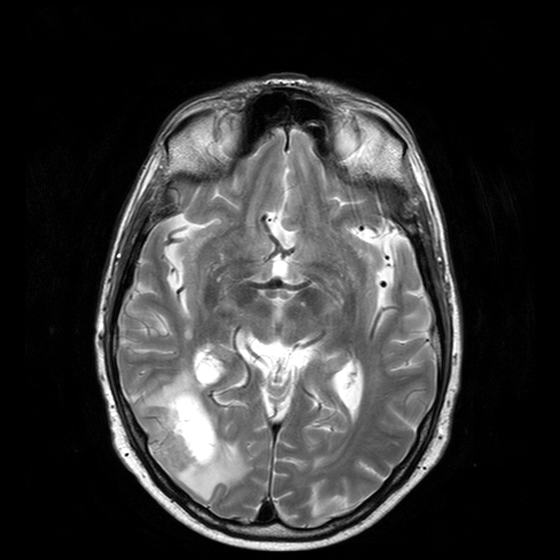
modality — 3 Tesla brain MRI; series — T2-weighted turbo spin echo with CLEAR; study — ring-enhancing brain masses.